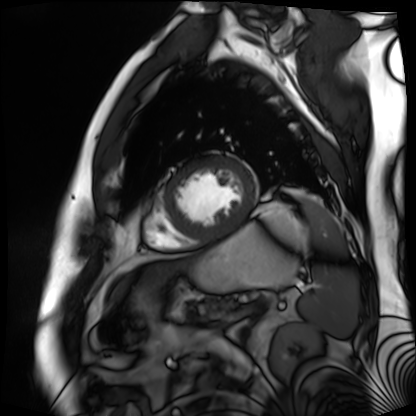
Case summary:
Cardiac MR image of the myocardium. Subject cohort: cardiac patient.